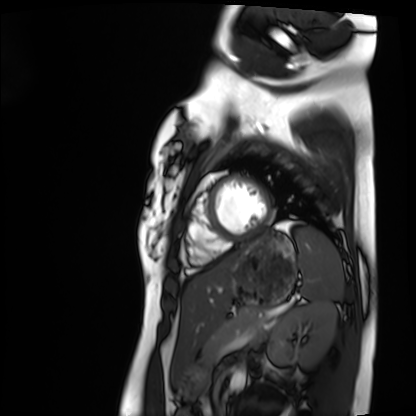
Summary: Cardiac MRI. Subject group: healthy volunteer.